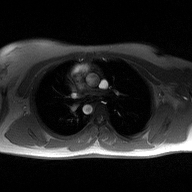
  modality:
    type: 2D phase-contrast cine MRI
    region: ascending aorta
    reconstruction: high-resolution GRAPPA acquisition